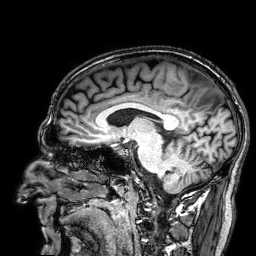
• modality · 3 Tesla brain MRI
• series · 3D T1-weighted
• study · ring-enhancing brain masses